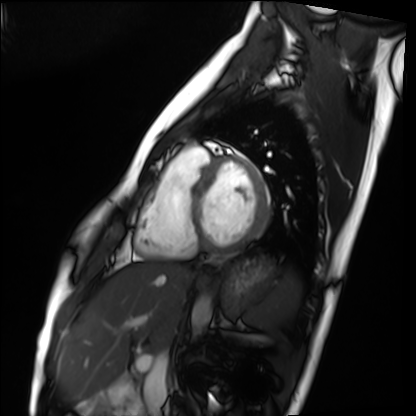
Summary:
Cardiac MRI. Subject group: healthy volunteer.